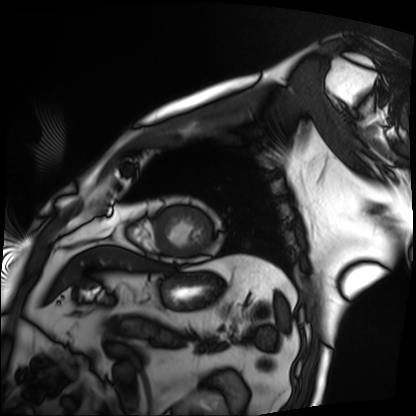
<study>
  <modality>cardiac MRI</modality>
  <cohort>patient</cohort>
</study>